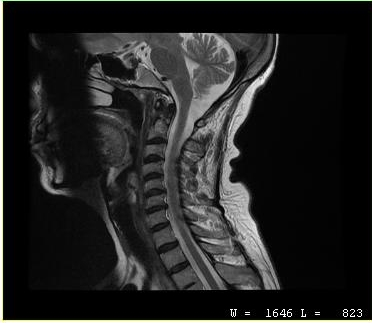
Case summary: MRI of the cervical spine. Study: cervical spondylosis.